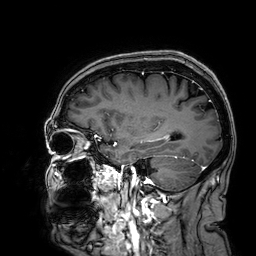
Q: What kind of scan is this?
A: 3 Tesla brain MRI.
Q: Series?
A: 3D T1-weighted.
Study: ring-enhancing brain masses.